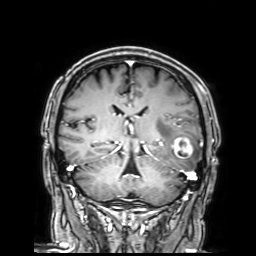
Case summary:
3 Tesla brain MRI. Series: 3D T1-weighted with SENSE. Study: ring-enhancing brain masses.